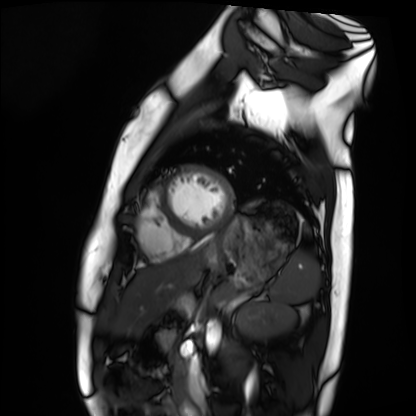
Cardiac MRI. Subject group: healthy volunteer.